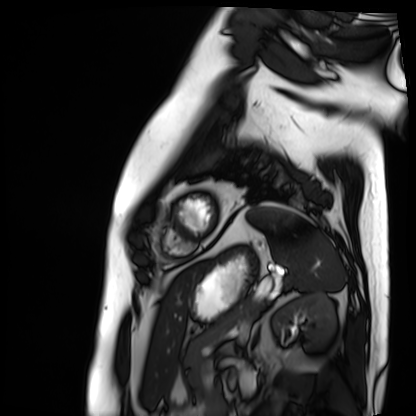
Cardiac MRI. Subject group: patient.